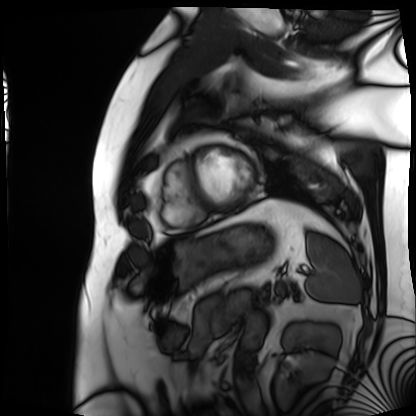
Cardiac MRI. Subject group: patient.